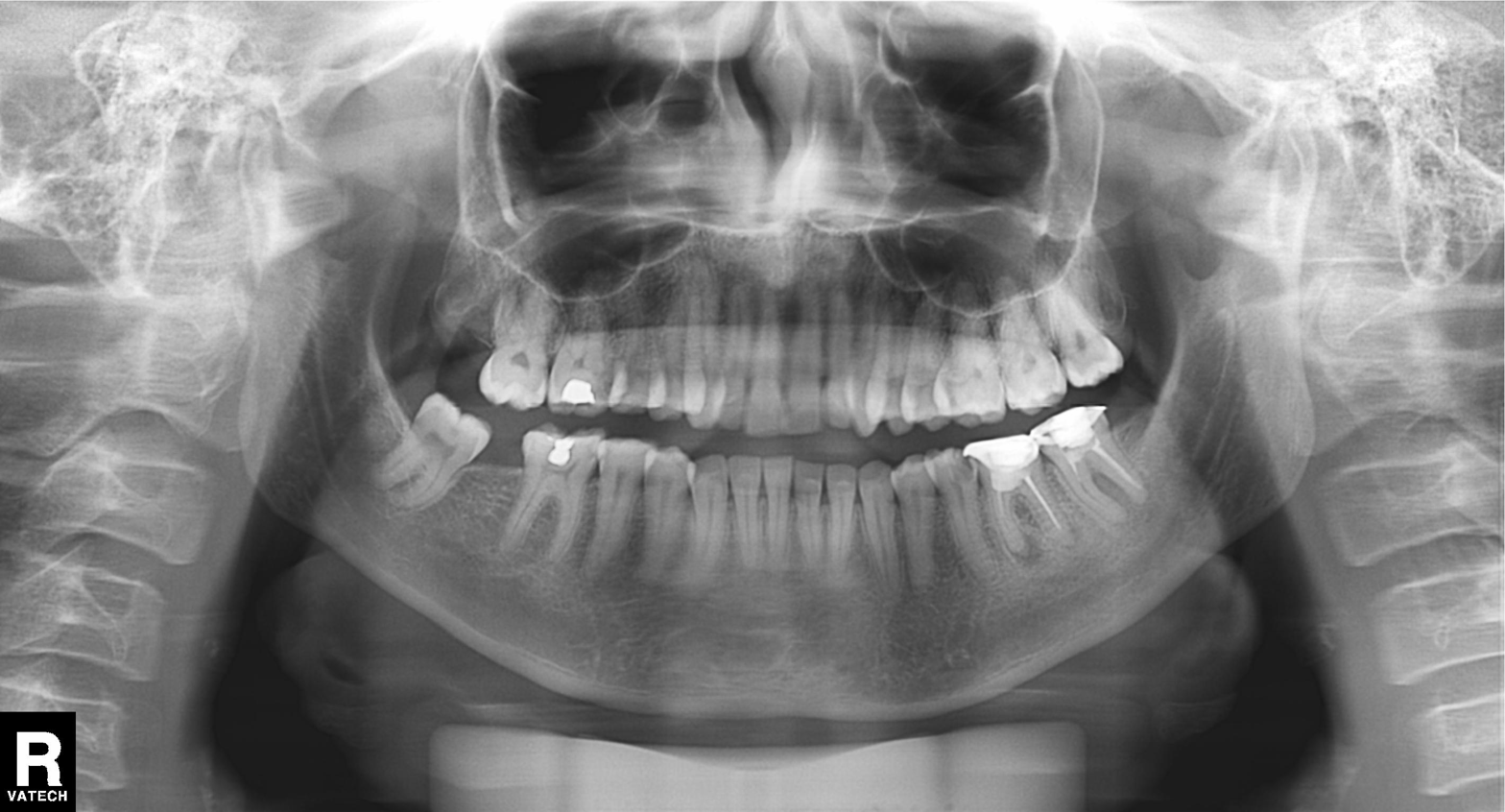
modality: panoramic dental radiograph (orthopantomogram) | finding: dental caries (cavities).